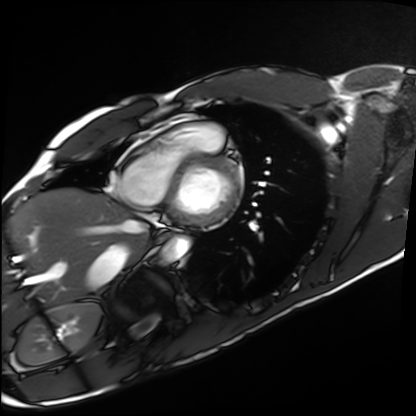
modality: cardiac MRI | subject group: healthy volunteer.